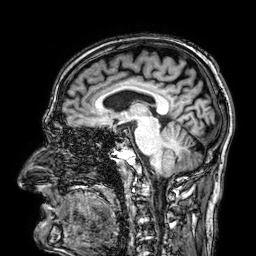
3 Tesla brain MRI. Series: 3D T1-weighted. Study: ring-enhancing brain masses.